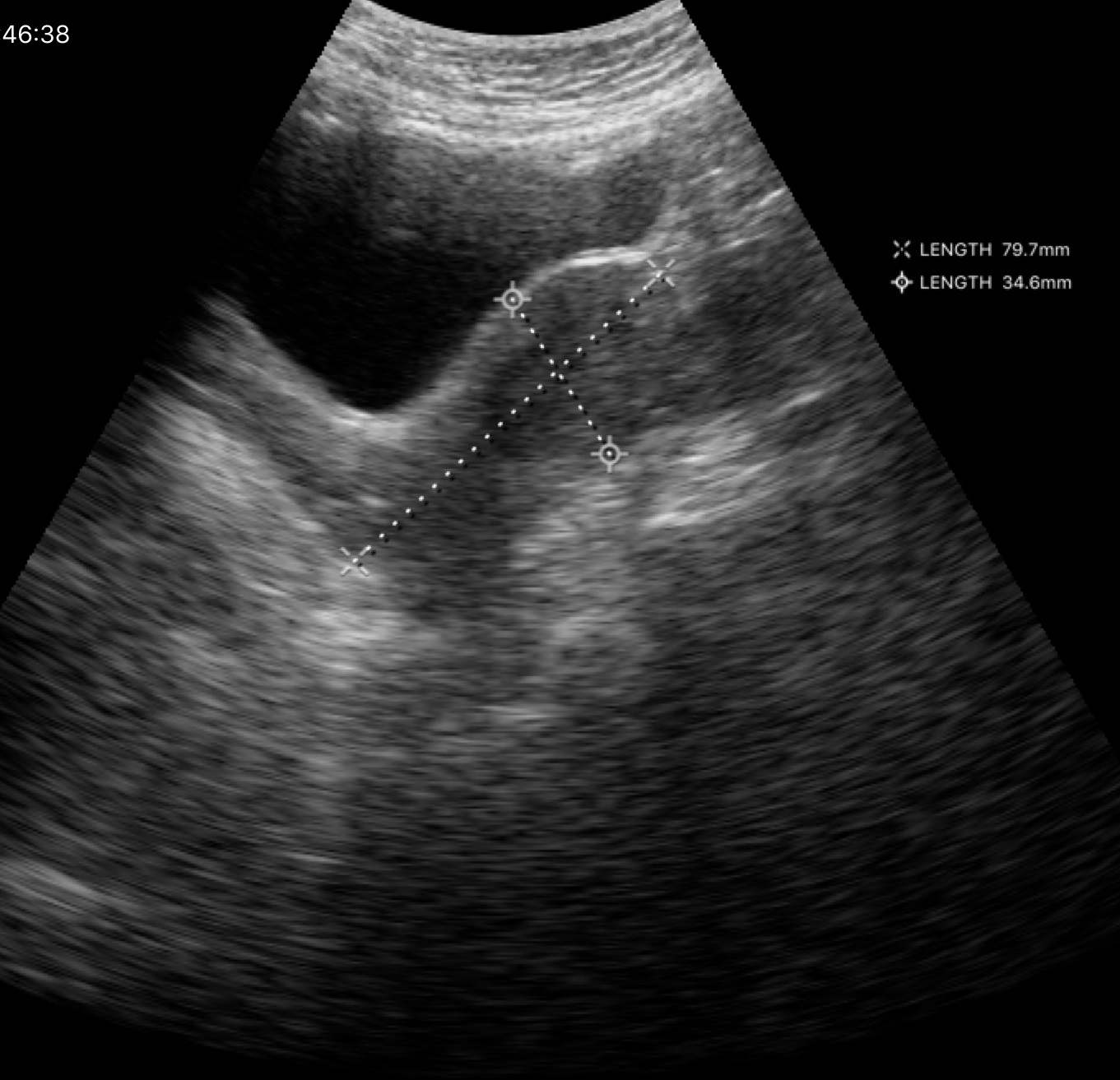
Summary: Genitourinary ultrasound.